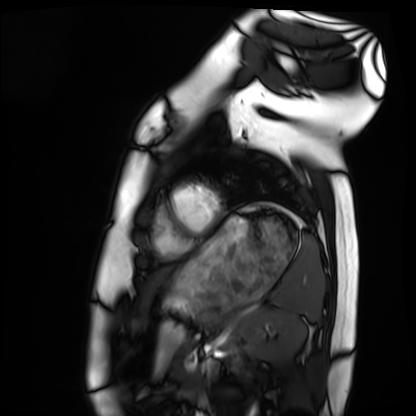
– modality: cardiac MRI
– subject group: healthy volunteer